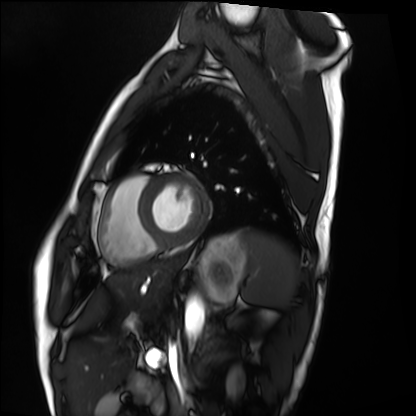
Q: What kind of scan is this?
A: Cardiac MRI.
Subject group: healthy volunteer.